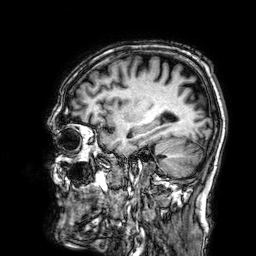
3 Tesla brain MRI. Series: 3D T1-weighted. Study: ring-enhancing brain masses.